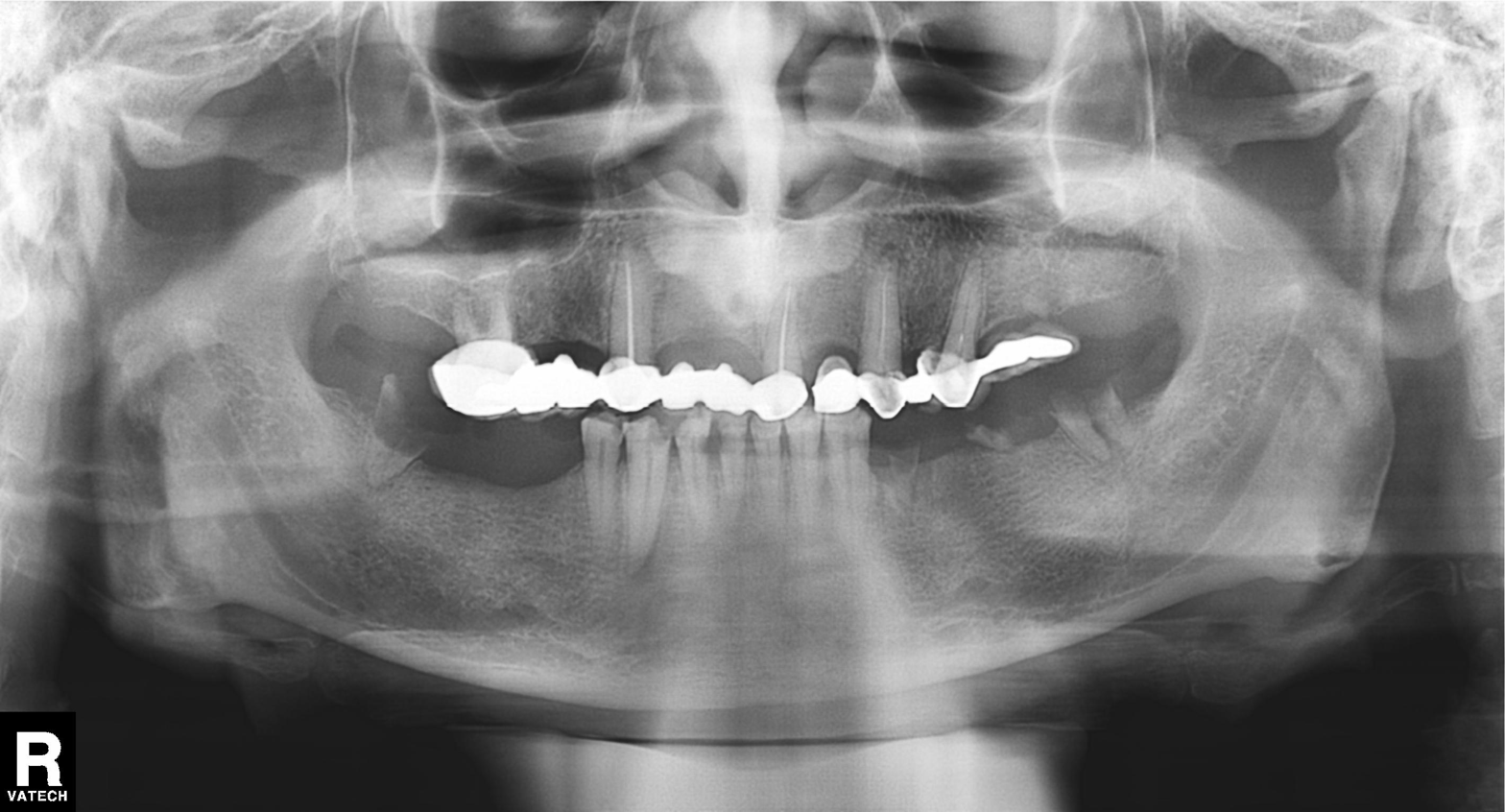
Panoramic dental radiograph (orthopantomogram). Finding: dental caries (cavities).